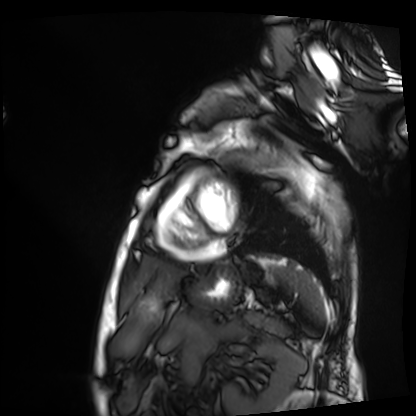
* modality — cardiac MRI
* subject group — patient